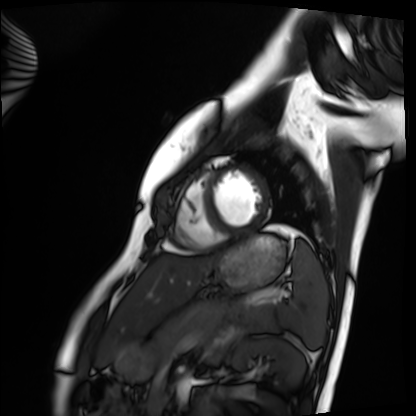
modality: cardiac MRI
cohort: healthy volunteer